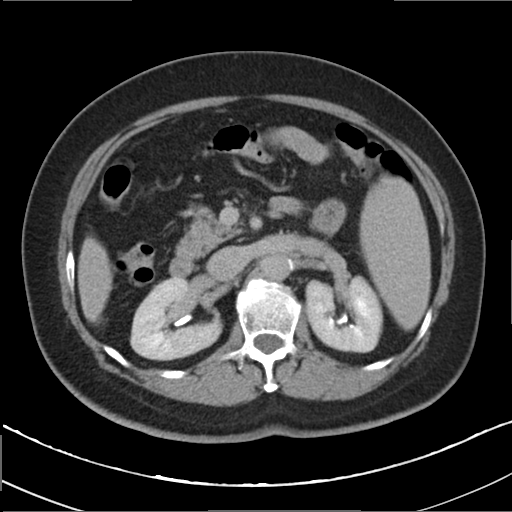
Case summary: Multiphase abdominal CT, liver, delayed phase. Patient: female, age 64. History: cirrhosis, viral hepatitis.